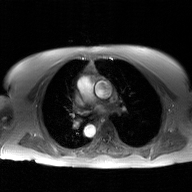
2D phase-contrast cine MRI of the ascending aorta, GAN super-resolution reconstruction.